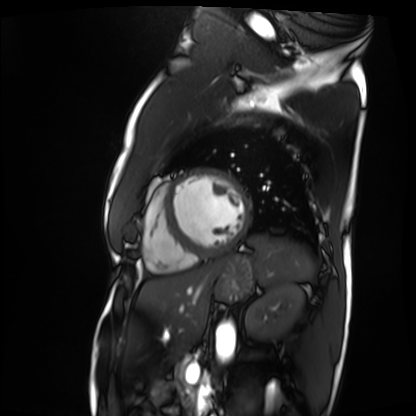
Q: What kind of scan is this?
A: Cardiac MRI.
Subject group: patient.